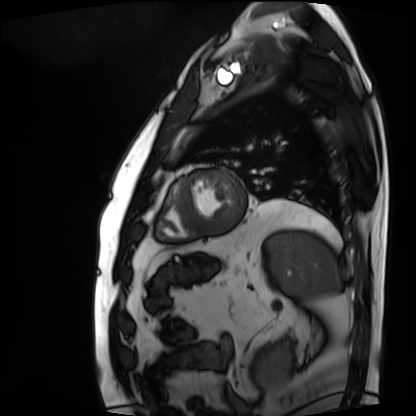
Case summary: Cardiac MRI. Subject group: patient.